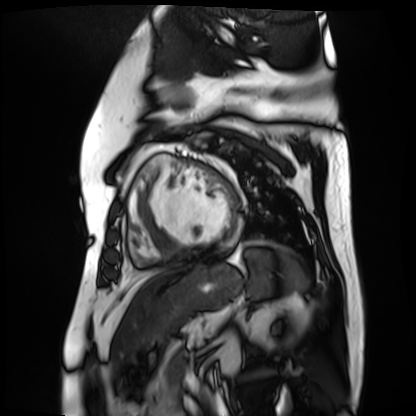
Cardiac MR image of the myocardium.
Subject cohort: cardiac patient.